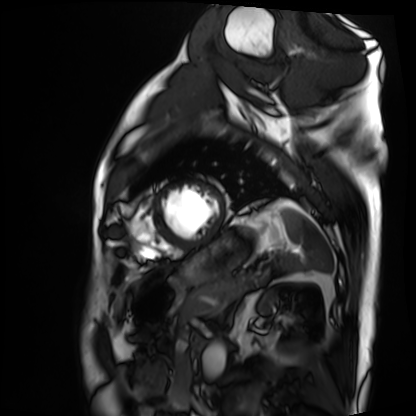
Summary: Cardiac MRI. Subject group: patient.